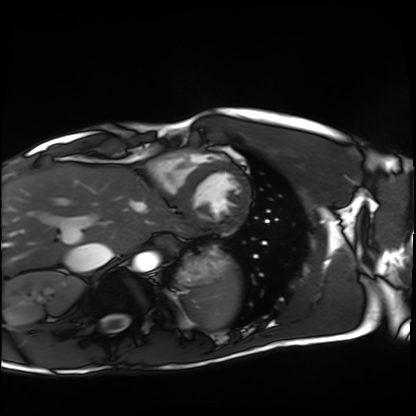
Summary: Cardiac MRI. Subject group: healthy volunteer.